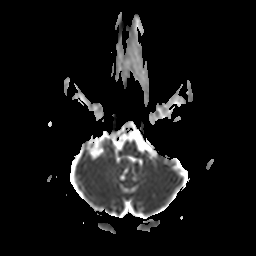
Summary: 3 Tesla brain MRI. Series: apparent diffusion coefficient (ADC) map. Study: ring-enhancing brain masses.